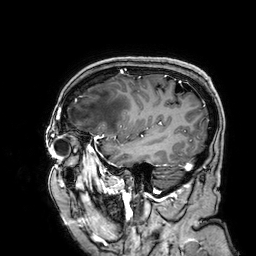
3 Tesla brain MRI. Series: 3D T1-weighted. Study: ring-enhancing brain masses.